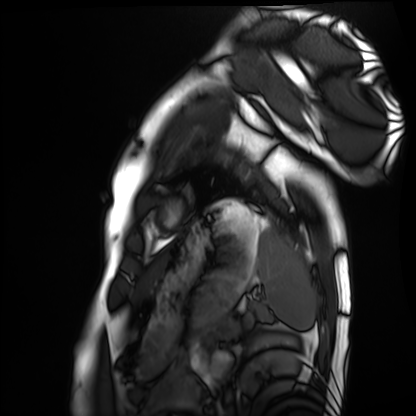
Case summary: Cardiac MRI. Subject group: healthy volunteer.